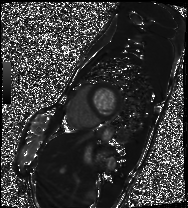
Q: What kind of scan is this?
A: Cardiac MRI.
Subject group: patient.